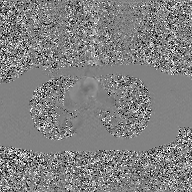
2D phase-contrast cine MRI of the ascending aorta, GAN super-resolution reconstruction.